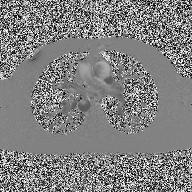
modality: 2D phase-contrast cine MRI of the ascending aorta.